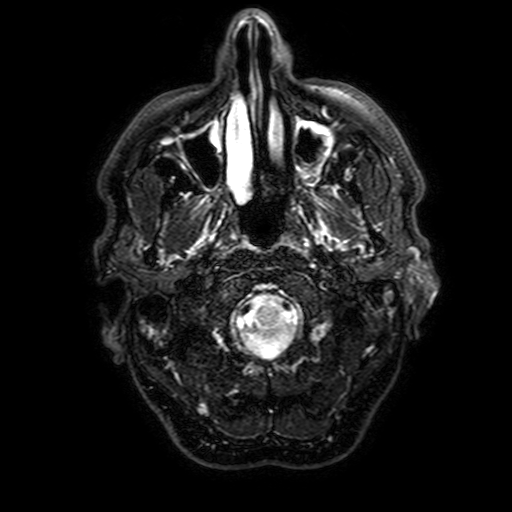
{
  "modality": {
    "type": "brain MRI",
    "field_strength": "3T"
  },
  "series": "FLAIR with SPAIR, 3 mm",
  "study_topic": "ring-enhancing brain masses"
}